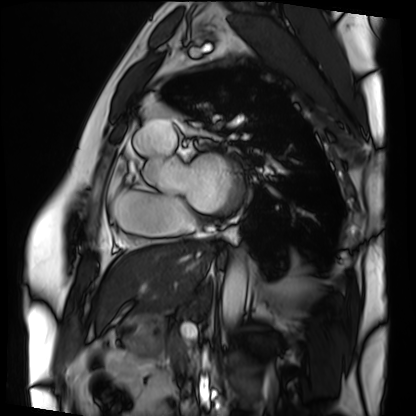
{
  "modality": "cardiac MRI",
  "cohort": "patient"
}